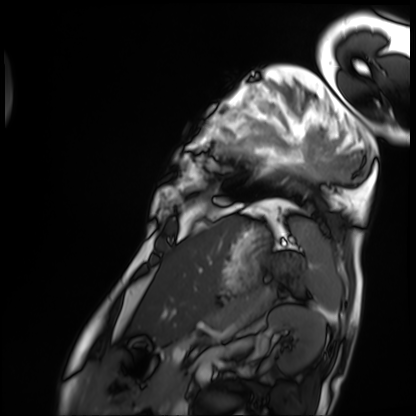
<study>
<modality>cardiac MRI</modality>
<cohort>patient</cohort>
</study>